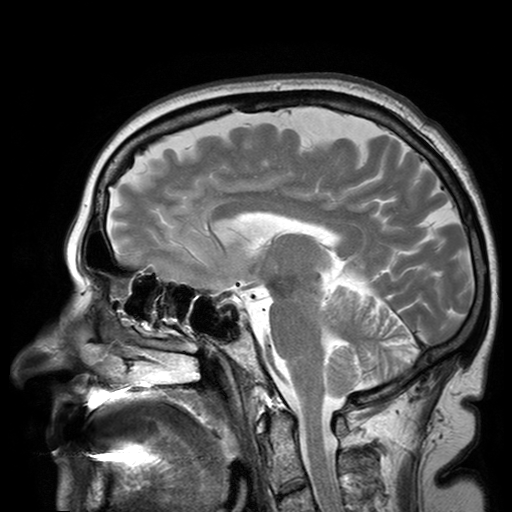
• modality: 3 Tesla brain MRI
• series: T2-weighted turbo spin echo with SENSE
• study: ring-enhancing brain masses